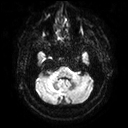
modality: 3 Tesla brain MRI; series: diffusion tensor imaging (medium iso); study: ring-enhancing brain masses.